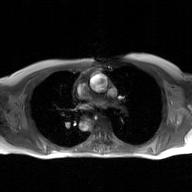
2D phase-contrast cine MRI of the ascending aorta, GAN super-resolution reconstruction.